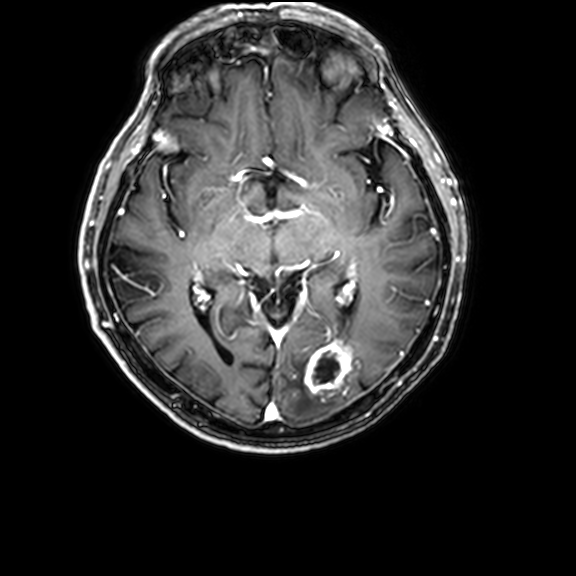
3 Tesla brain MRI. Series: 3D T1-weighted with CLEAR. Study: ring-enhancing brain masses.